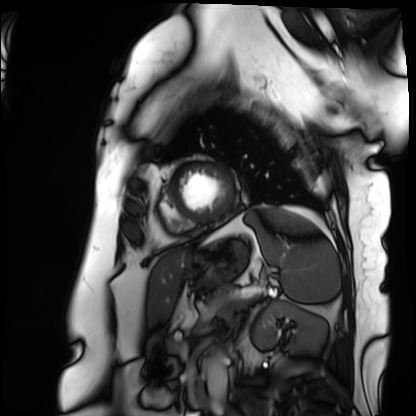
Clinical context:
Cardiac MRI. Subject group: patient.